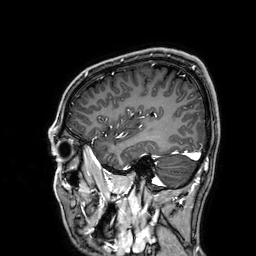
| field | value |
|---|---|
| modality | 3 Tesla brain MRI |
| series | 3D T1-weighted |
| study | ring-enhancing brain masses |